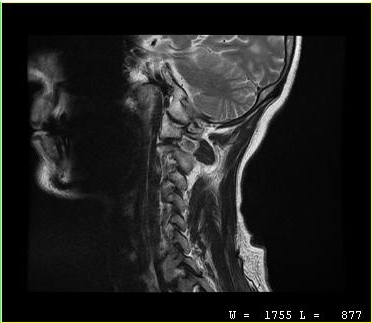
| field | value |
|---|---|
| modality | MRI of the cervical spine |
| study | cervical spondylosis |